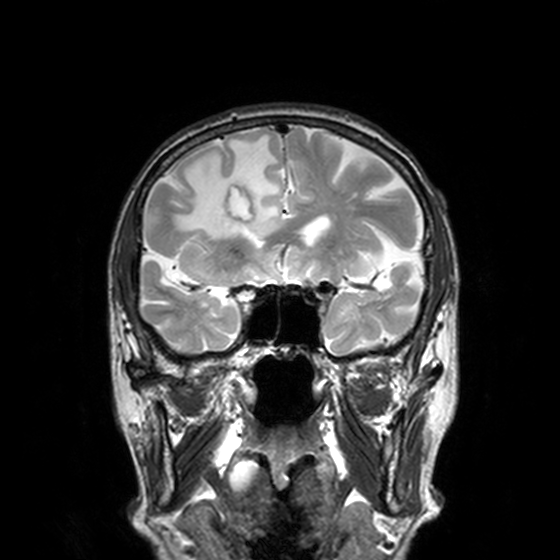
  modality:
    type: brain MRI
    field_strength: 3T
  series: T2-weighted turbo spin echo, 3 mm
  study_topic: ring-enhancing brain masses